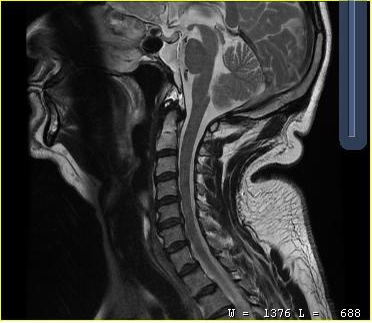
MRI of the cervical spine.
Study: cervical spondylosis.